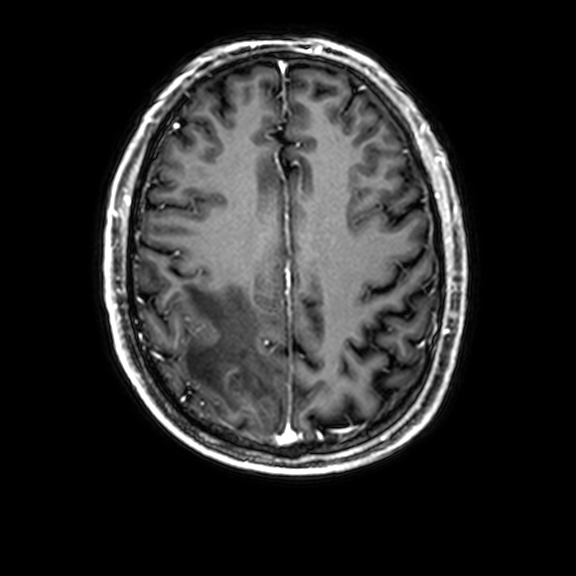
3 Tesla brain MRI. Series: 3D T1-weighted with CLEAR. Study: ring-enhancing brain masses.